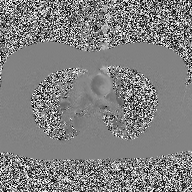
2D phase-contrast cine MRI of the ascending aorta, high-resolution GRAPPA acquisition.